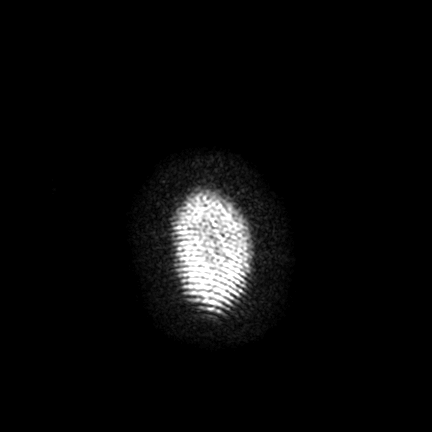
modality = 3 Tesla brain MRI
series = FLAIR VISTA with SENSE
study = ring-enhancing brain masses